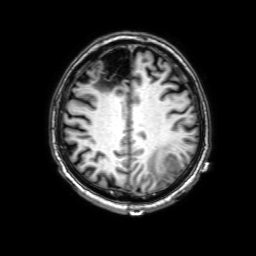
Clinical context:
3 Tesla brain MRI. Series: 3D T1-weighted with SENSE. Study: ring-enhancing brain masses.